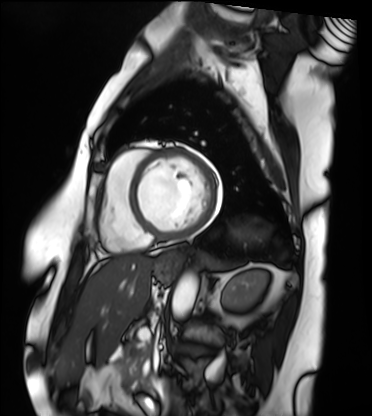
modality: cardiac MRI; subject group: patient.